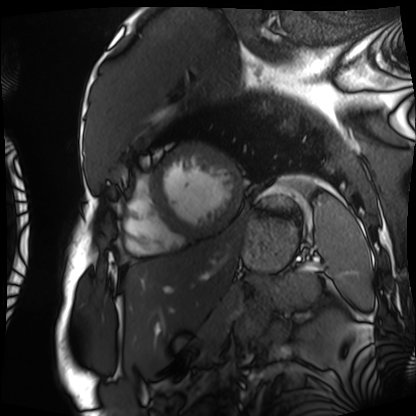
Clinical context: Cardiac MRI. Subject group: patient.